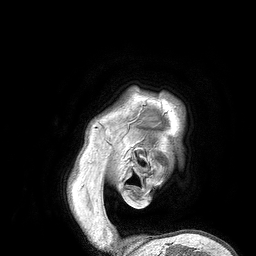
{"modality": {"type": "brain MRI", "field_strength": "3T"}, "series": "3D T1-weighted turbo field echo", "study_topic": "ring-enhancing brain masses"}